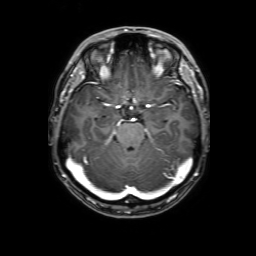
3 Tesla brain MRI. Series: 3D T1-weighted with SENSE. Study: ring-enhancing brain masses.